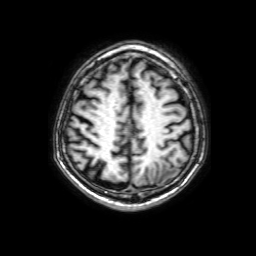
modality = 3 Tesla brain MRI | series = 3D T1-weighted with SENSE | study = ring-enhancing brain masses.